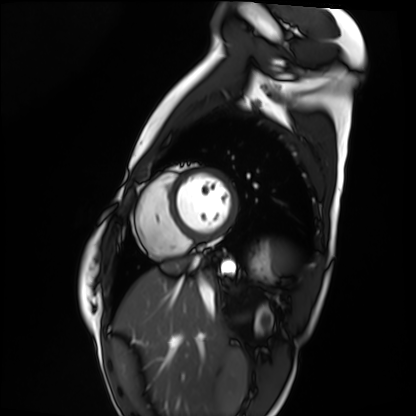
Cardiac MRI. Subject group: healthy volunteer.